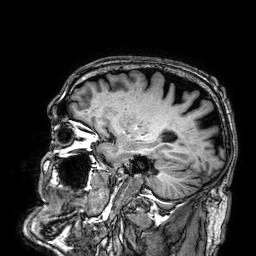
modality=3 Tesla brain MRI; study=ring-enhancing brain masses.